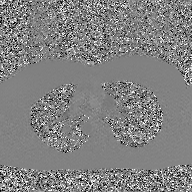
2D phase-contrast cine MRI of the ascending aorta, GAN super-resolution reconstruction.